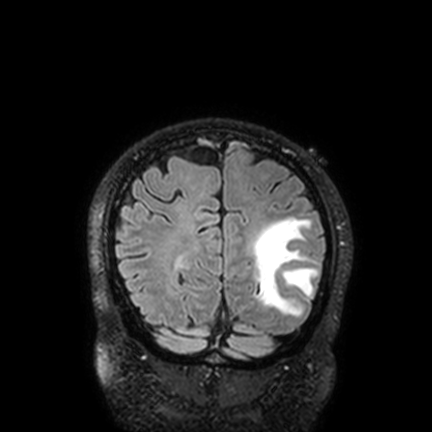
modality — 3 Tesla brain MRI
series — FLAIR VISTA with SENSE
study — ring-enhancing brain masses